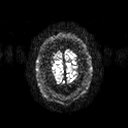
modality = 3 Tesla brain MRI; series = diffusion tensor imaging (medium iso); study = ring-enhancing brain masses.